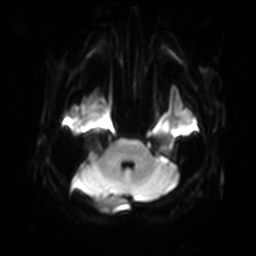
modality: 3 Tesla brain MRI
study: ring-enhancing brain masses